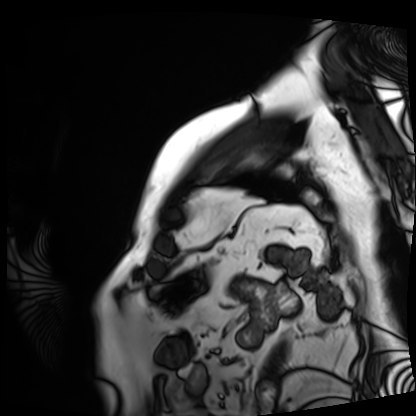
Case:
• modality — cardiac MRI
• subject group — patient